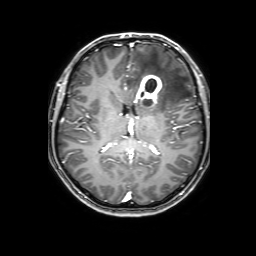
- modality — 3 Tesla brain MRI
- series — 3D T1-weighted with SENSE
- study — ring-enhancing brain masses